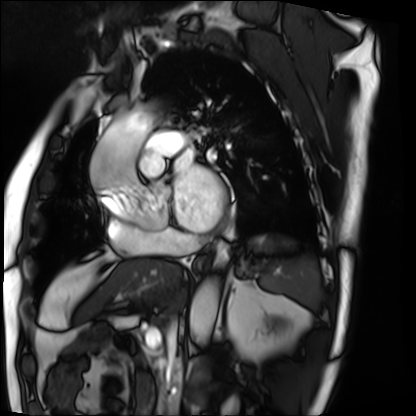
modality: cardiac MRI; subject group: patient.